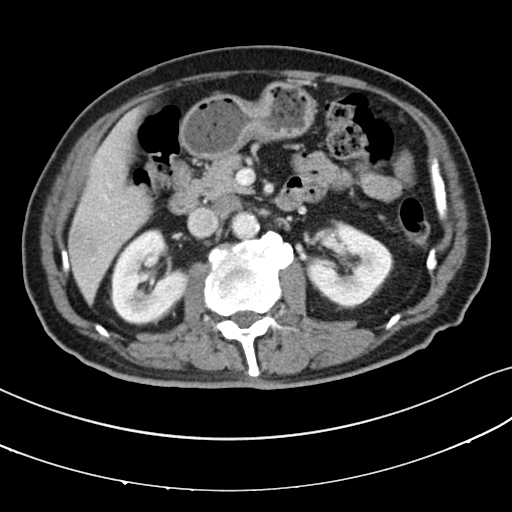
Multiphase abdominal CT, liver, portal venous phase.
Patient: male, age 64.